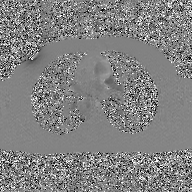
Summary: 2D phase-contrast cine MRI of the ascending aorta, GAN super-resolution reconstruction.